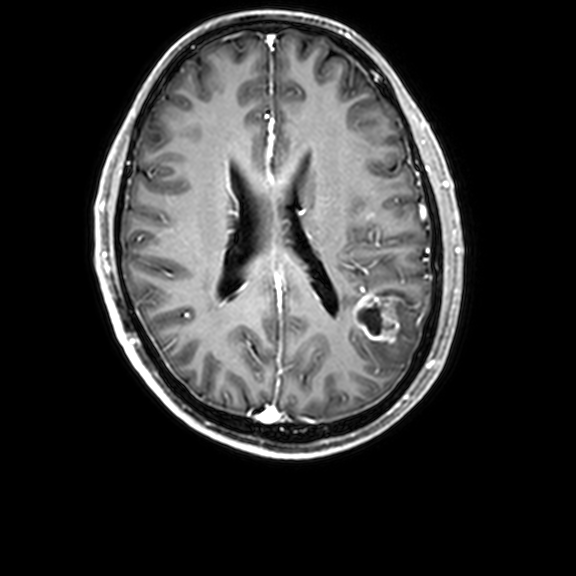
3 Tesla brain MRI.
Study: ring-enhancing brain masses.